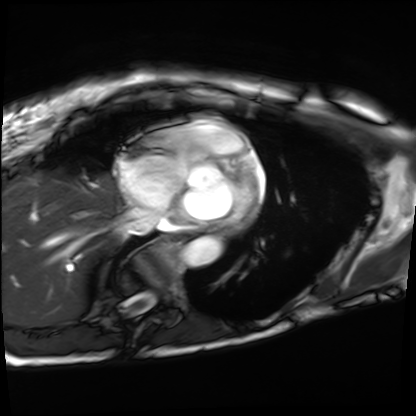
modality: cardiac MRI, subject group: patient.